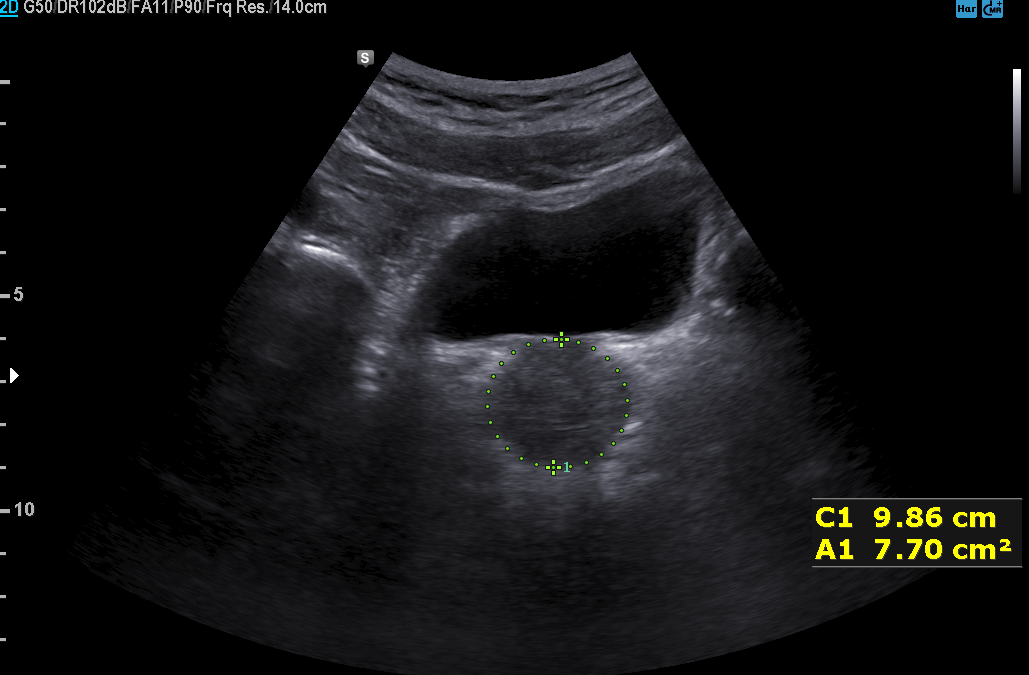
{
  "modality": {
    "type": "genitourinary ultrasound"
  }
}